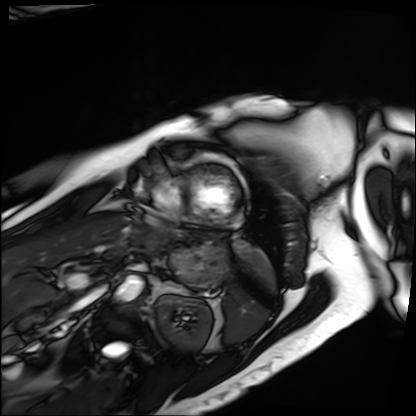
| field | value |
|---|---|
| modality | cardiac MRI |
| subject group | patient |